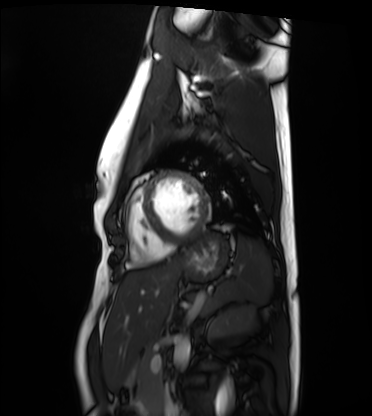
Cardiac MRI.
Subject group: healthy volunteer.